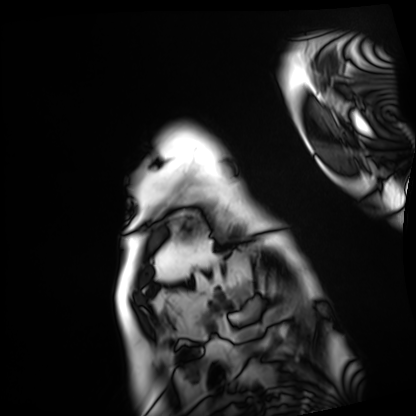
modality=cardiac MRI; subject group=patient.